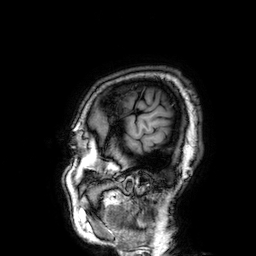
Case:
• modality · 3 Tesla brain MRI
• series · 3D T1-weighted
• study · ring-enhancing brain masses